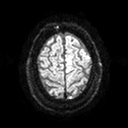
  modality:
    type: brain MRI
    field_strength: 3T
  series: diffusion tensor imaging (medium iso)
  study_topic: ring-enhancing brain masses